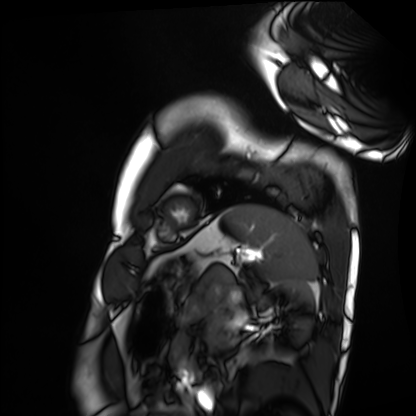
- modality: cardiac MRI
- subject group: healthy volunteer